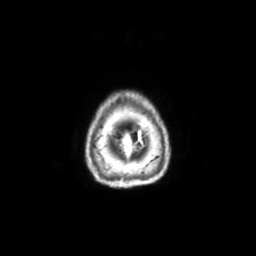
3 Tesla brain MRI. Series: axial with contrast. Study: ring-enhancing brain masses.